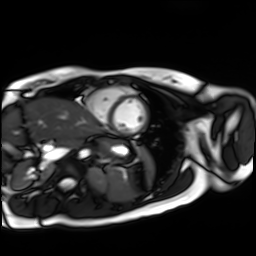
Cardiac MR image of the myocardium. Subject cohort: healthy volunteer.